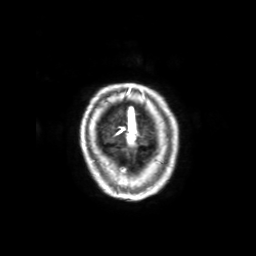
– modality · 3 Tesla brain MRI
– series · 3D T1-weighted with SENSE
– study · ring-enhancing brain masses